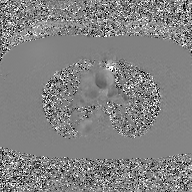
<case>
  <modality>
    <type>2D phase-contrast cine MRI</type>
    <region>ascending aorta</region>
    <reconstruction>GAN super-resolution reconstruction</reconstruction>
  </modality>
</case>